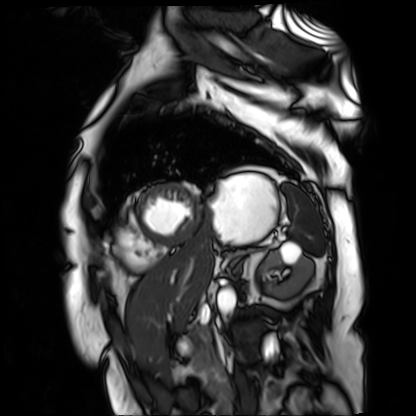
modality — cardiac MR image of the myocardium
subject cohort — cardiac patient